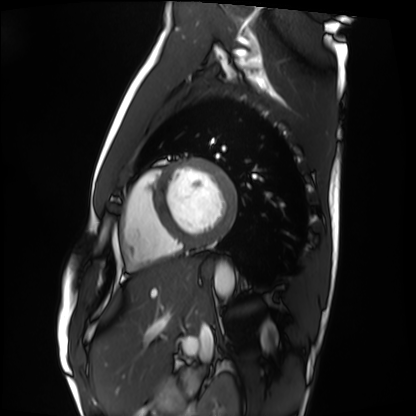
<record>
  <modality>cardiac MRI</modality>
  <cohort>healthy volunteer</cohort>
</record>